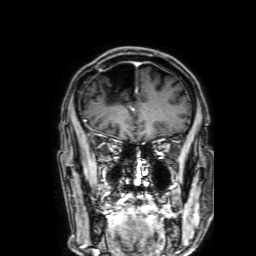
modality=3 Tesla brain MRI
series=3D T1-weighted with SENSE
study=ring-enhancing brain masses